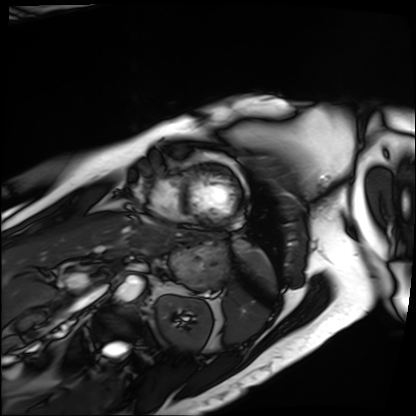
Cardiac MRI. Subject group: patient.